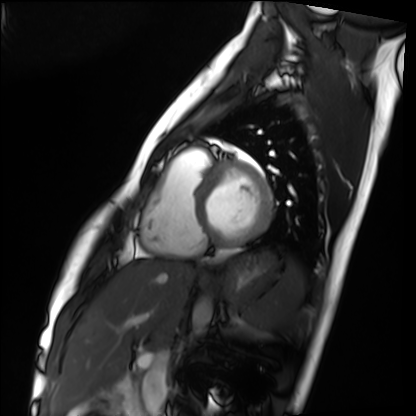
Summary:
Cardiac MRI. Subject group: healthy volunteer.